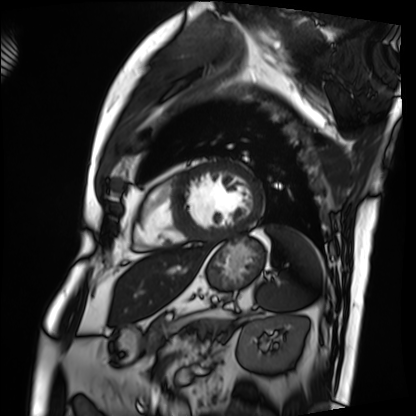
Summary: Cardiac MRI. Subject group: patient.